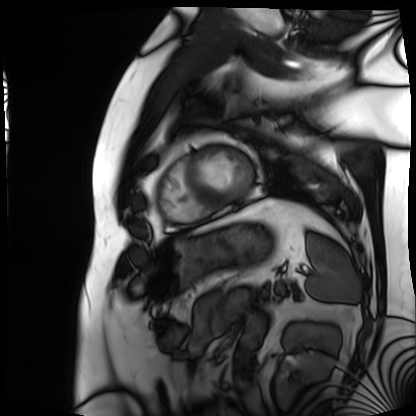
Clinical context: Cardiac MRI. Subject group: patient.